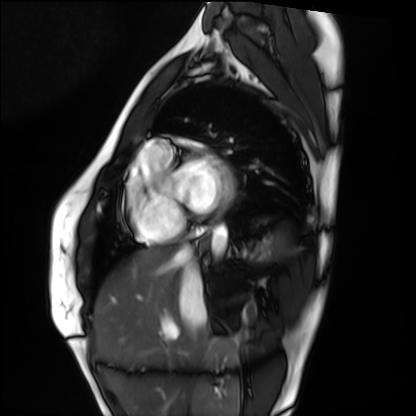
| field | value |
|---|---|
| modality | cardiac MRI |
| subject group | healthy volunteer |